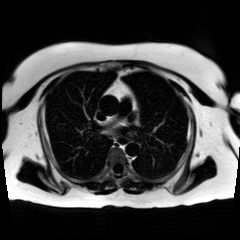
Chemical-shift-encoded cardiac MRI.